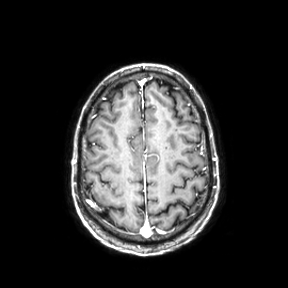
3 Tesla brain MRI. Series: axial. Study: ring-enhancing brain masses.